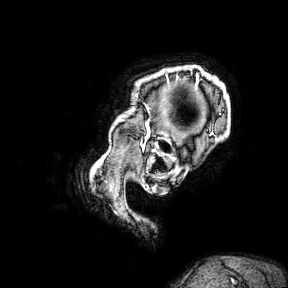
3 Tesla brain MRI. Series: 3D T1-weighted turbo field echo with SENSE. Study: ring-enhancing brain masses.